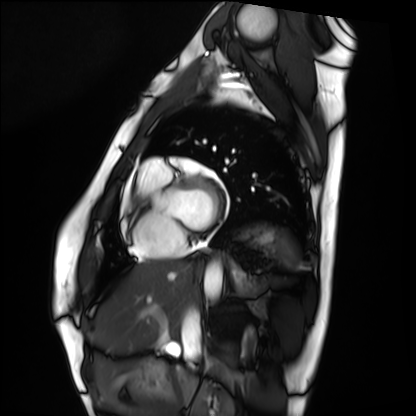
Q: What kind of scan is this?
A: Cardiac MRI.
Subject group: healthy volunteer.